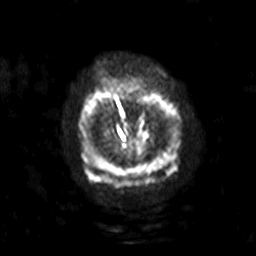
3 Tesla brain MRI. Series: diffusion-weighted imaging with SENSE (WIP). Study: ring-enhancing brain masses.